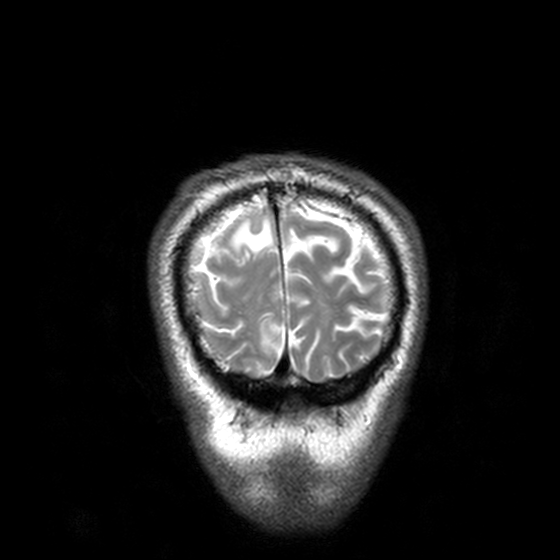
Clinical context:
3 Tesla brain MRI. Series: T2-weighted turbo spin echo, 3 mm. Study: ring-enhancing brain masses.